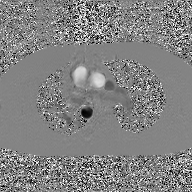
Summary: 2D phase-contrast cine MRI of the ascending aorta, GAN super-resolution reconstruction.